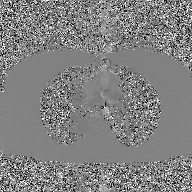
• modality — 2D phase-contrast cine MRI of the ascending aorta, GAN super-resolution reconstruction